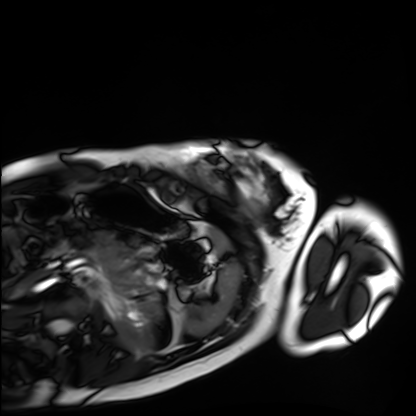
Case summary: Cardiac MRI. Subject group: healthy volunteer.